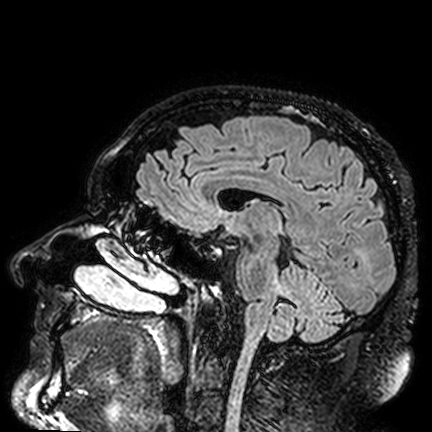
Summary:
3 Tesla brain MRI. Series: FLAIR VISTA. Study: ring-enhancing brain masses.